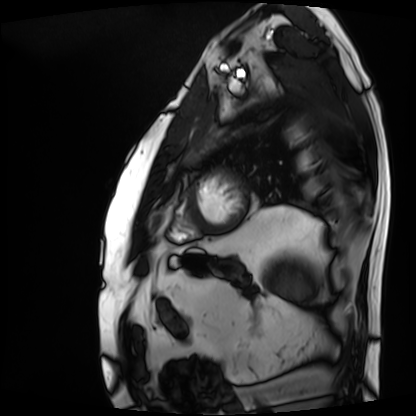
<record>
<modality>cardiac MRI</modality>
<cohort>patient</cohort>
</record>